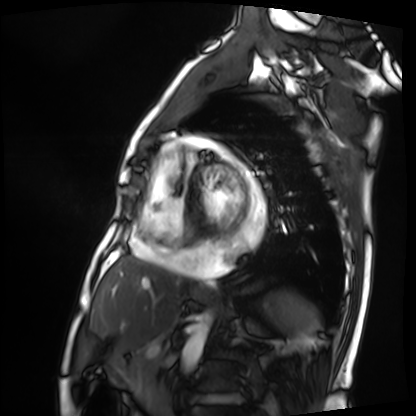
Cardiac MRI.
Subject group: patient.